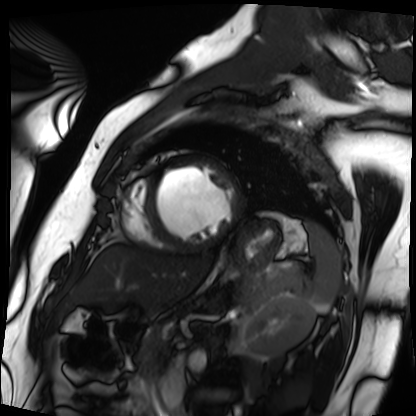
Cardiac MRI.
Subject group: patient.